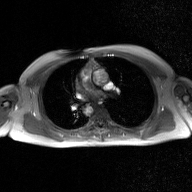
2D phase-contrast cine MRI of the ascending aorta, GAN super-resolution reconstruction.